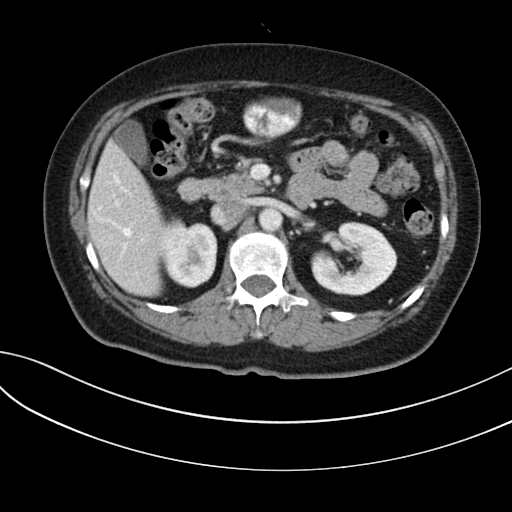
modality: multiphase abdominal CT, liver, portal venous phase
patient: female, age 59